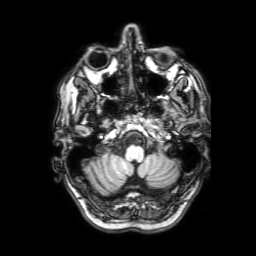
Q: What kind of scan is this?
A: 3 Tesla brain MRI.
Q: Series?
A: 3D T1-weighted with SENSE.
Study: ring-enhancing brain masses.